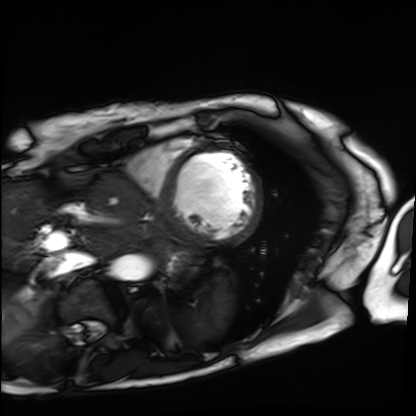
Case summary: Cardiac MRI. Subject group: patient.